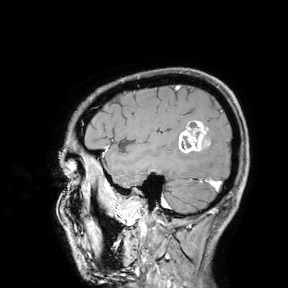
- modality: 3 Tesla brain MRI
- study: ring-enhancing brain masses